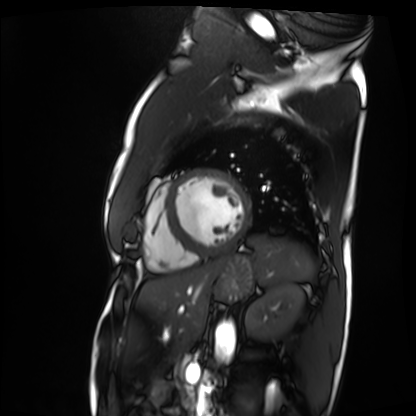
* modality — cardiac MRI
* subject group — patient